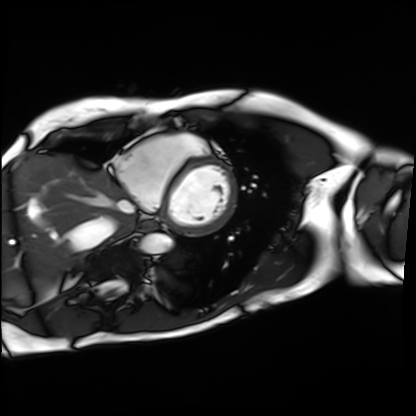
| field | value |
|---|---|
| modality | cardiac MRI |
| subject group | patient |